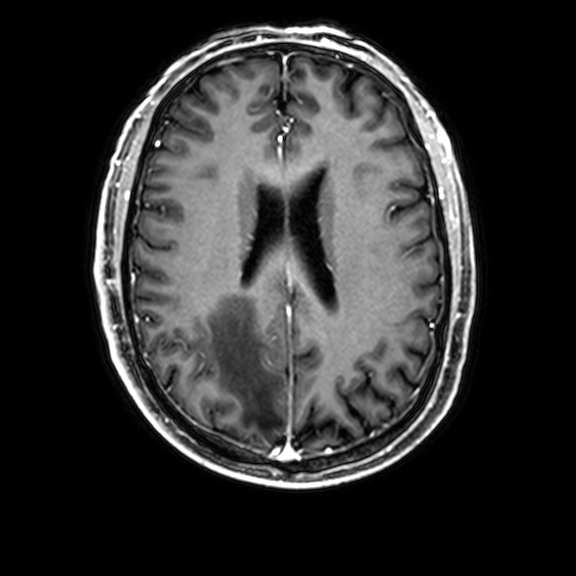
modality: 3 Tesla brain MRI
study: ring-enhancing brain masses